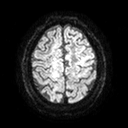
3 Tesla brain MRI. Series: diffusion tensor imaging (medium iso). Study: ring-enhancing brain masses.